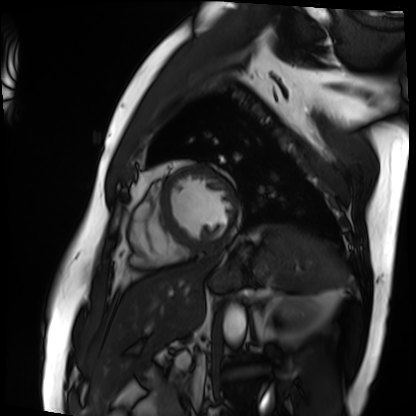
modality: cardiac MRI
subject group: patient